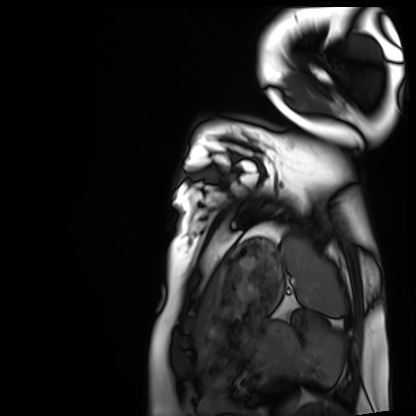
Clinical context: Cardiac MRI. Subject group: healthy volunteer.